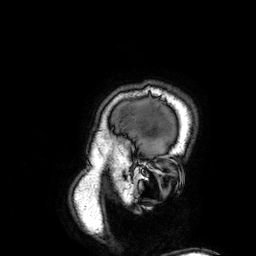
- modality · 3 Tesla brain MRI
- series · 3D T1-weighted
- study · ring-enhancing brain masses